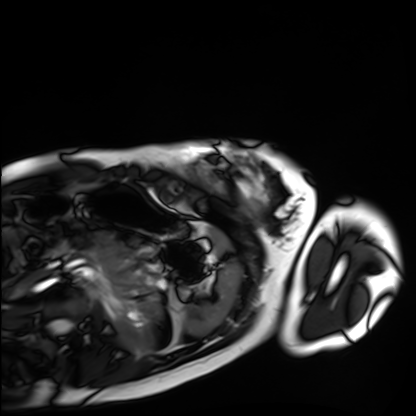
| field | value |
|---|---|
| modality | cardiac MRI |
| subject group | healthy volunteer |